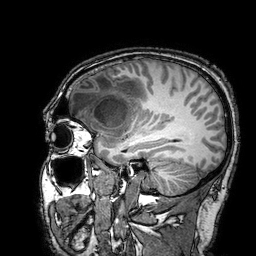
| field | value |
|---|---|
| modality | 3 Tesla brain MRI |
| study | ring-enhancing brain masses |